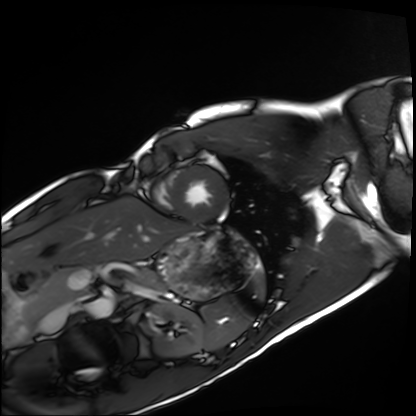
Case:
– modality · cardiac MRI
– subject group · healthy volunteer